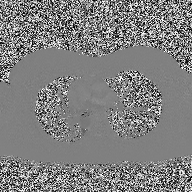
{"modality": {"type": "2D phase-contrast cine MRI", "region": "ascending aorta", "reconstruction": "high-resolution GRAPPA acquisition"}}